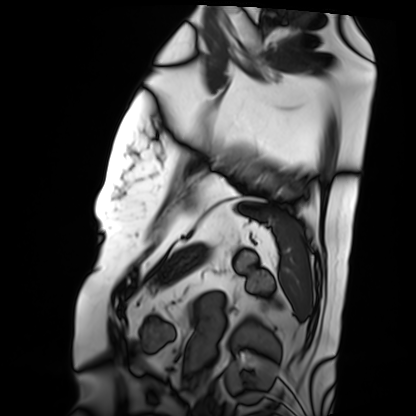
Q: What kind of scan is this?
A: Cardiac MRI.
Subject group: patient.